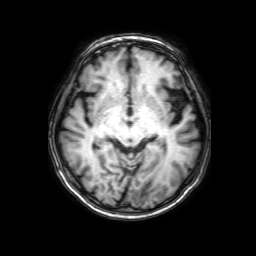
Q: What kind of scan is this?
A: 3 Tesla brain MRI.
Q: Series?
A: 3D T1-weighted with SENSE.
Study: ring-enhancing brain masses.